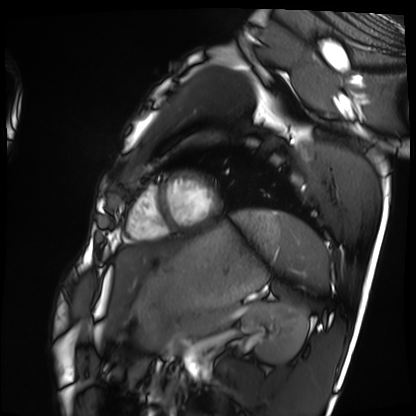
– modality — cardiac MRI
– subject group — healthy volunteer